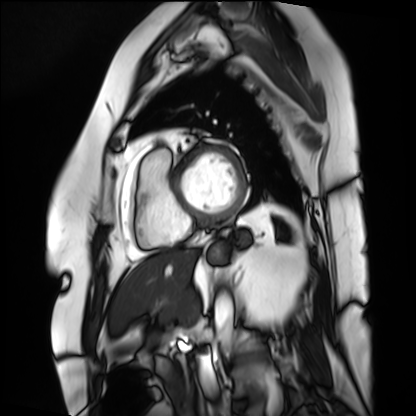
Summary: Cardiac MRI. Subject group: patient.